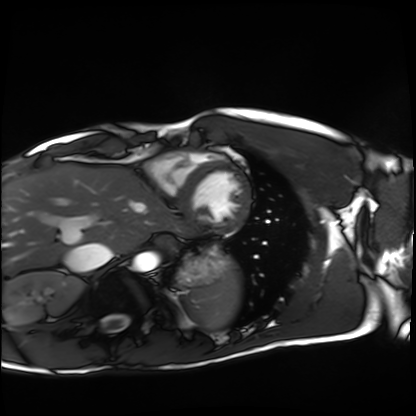
Cardiac MRI.
Subject group: healthy volunteer.